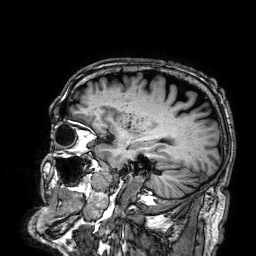
Q: What kind of scan is this?
A: 3 Tesla brain MRI.
Q: Series?
A: 3D T1-weighted.
Study: ring-enhancing brain masses.